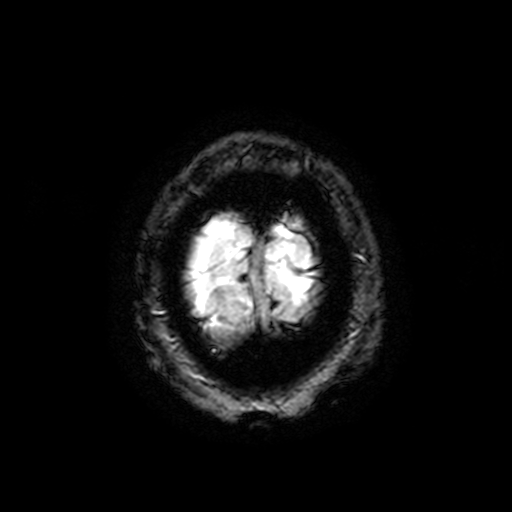
{
  "modality": {
    "type": "brain MRI",
    "field_strength": "3T"
  },
  "series": "T2-weighted fast field echo with SENSE",
  "study_topic": "ring-enhancing brain masses"
}